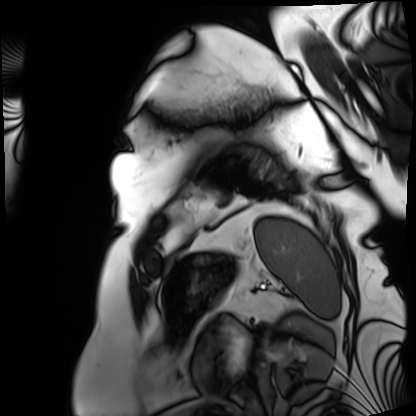
modality=cardiac MRI | subject group=patient.